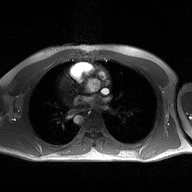
- modality · 2D phase-contrast cine MRI of the ascending aorta